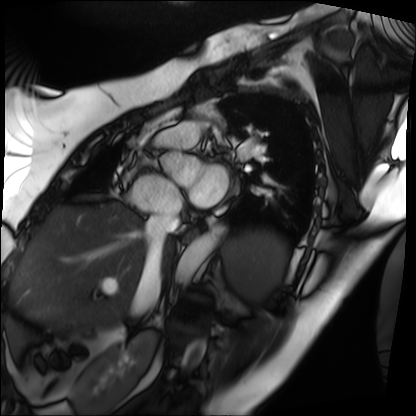
Cardiac MRI.
Subject group: patient.